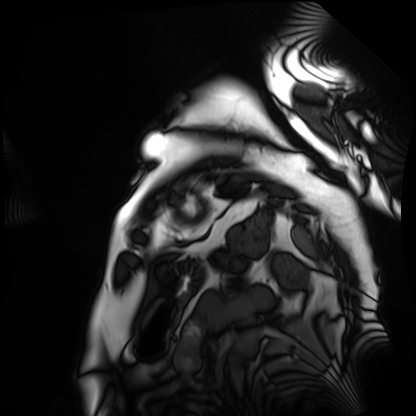
Q: What kind of scan is this?
A: Cardiac MRI.
Subject group: patient.